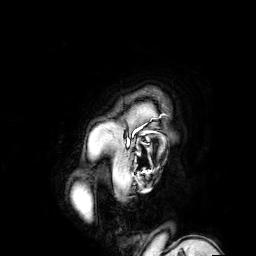
3 Tesla brain MRI.
Series: 3D T1-weighted turbo field echo with SENSE.
Study: ring-enhancing brain masses.